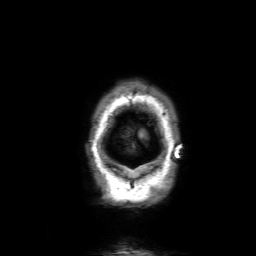
Case summary: 3 Tesla brain MRI. Series: 3D T1-weighted with SENSE. Study: ring-enhancing brain masses.